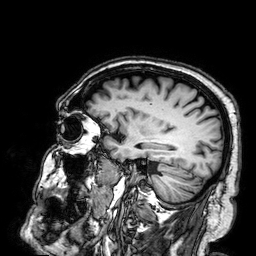
modality — 3 Tesla brain MRI
series — 3D T1-weighted
study — ring-enhancing brain masses